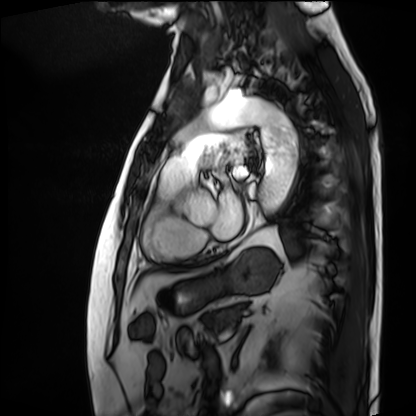
Q: What kind of scan is this?
A: Cardiac MRI.
Subject group: patient.